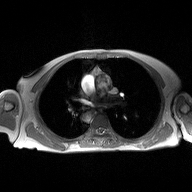
Case summary:
2D phase-contrast cine MRI of the ascending aorta, high-resolution GRAPPA acquisition.